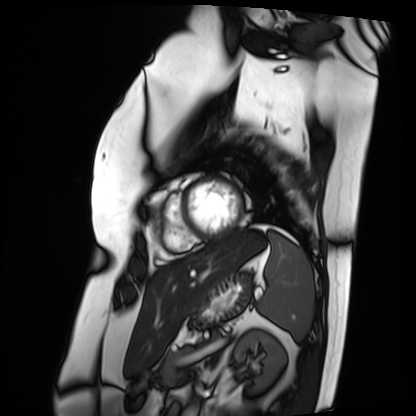
Cardiac MRI.
Subject group: patient.